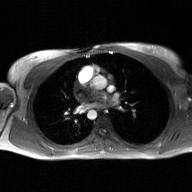
• modality · 2D phase-contrast cine MRI of the ascending aorta, GAN super-resolution reconstruction